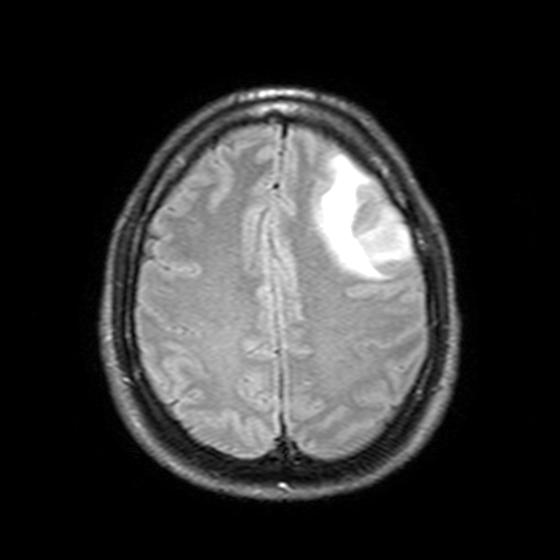
{
  "modality": {
    "type": "brain MRI",
    "field_strength": "3T"
  },
  "series": "T2-weighted FLAIR",
  "study_topic": "ring-enhancing brain masses"
}